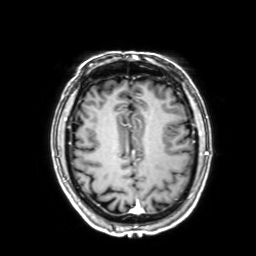
modality — 3 Tesla brain MRI | series — 3D T1-weighted with SENSE | study — ring-enhancing brain masses.